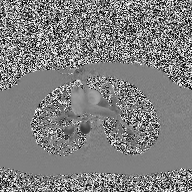
2D phase-contrast cine MRI of the ascending aorta, high-resolution GRAPPA acquisition.